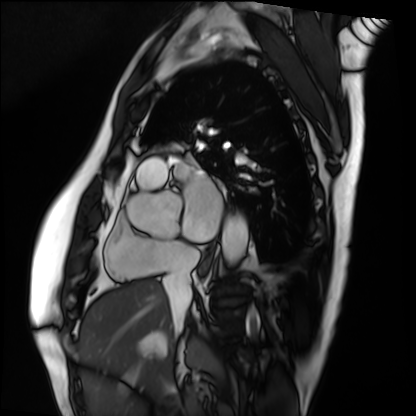
Q: What kind of scan is this?
A: Cardiac MRI.
Subject group: patient.